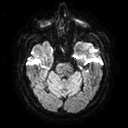
Case summary: 3 Tesla brain MRI. Series: diffusion tensor imaging (medium iso). Study: ring-enhancing brain masses.